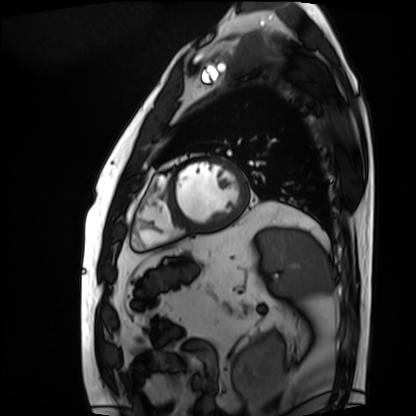
Case:
- modality · cardiac MRI
- subject group · patient